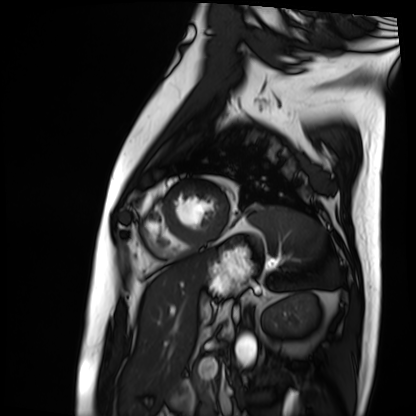
| field | value |
|---|---|
| modality | cardiac MRI |
| subject group | patient |